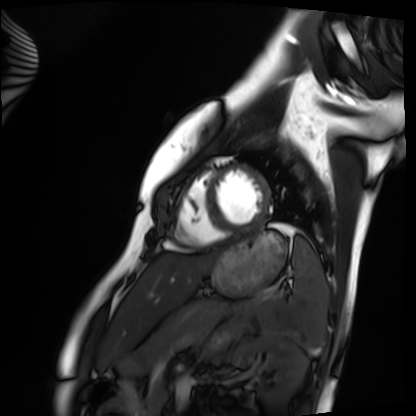
Cardiac MRI.
Subject group: healthy volunteer.